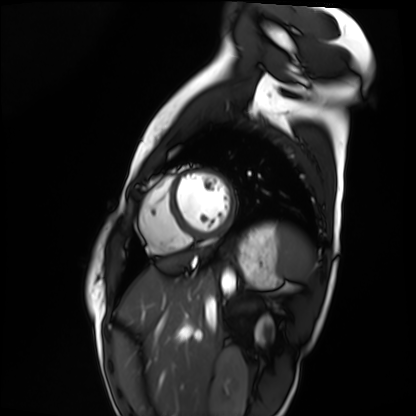
* modality · cardiac MRI
* subject group · healthy volunteer